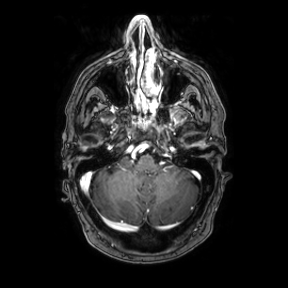
  modality:
    type: brain MRI
    field_strength: 3T
  study_topic: ring-enhancing brain masses